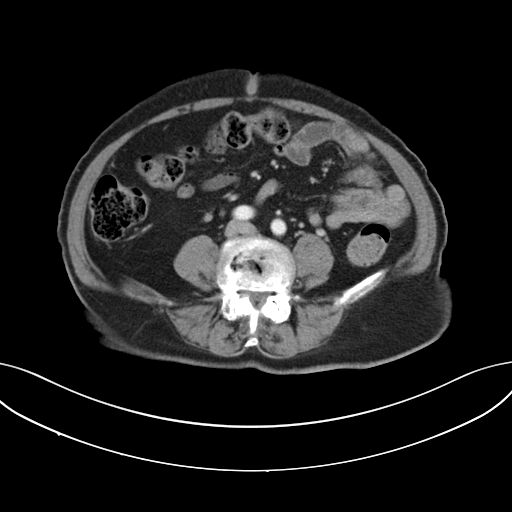
Multiphase abdominal CT, liver, portal venous phase.
Patient: female, age 73.
History: viral hepatitis.